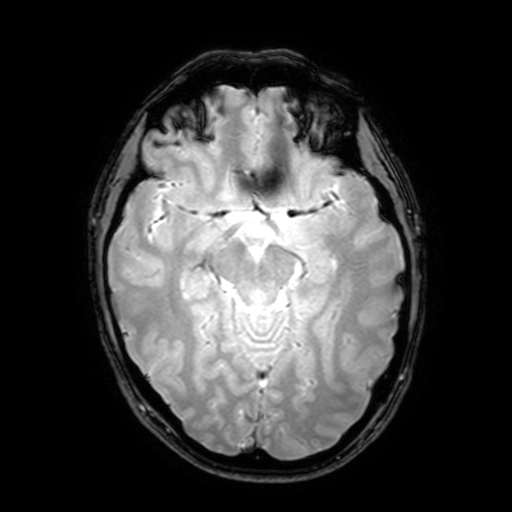
3 Tesla brain MRI. Series: T2-weighted fast field echo with SENSE. Study: ring-enhancing brain masses.